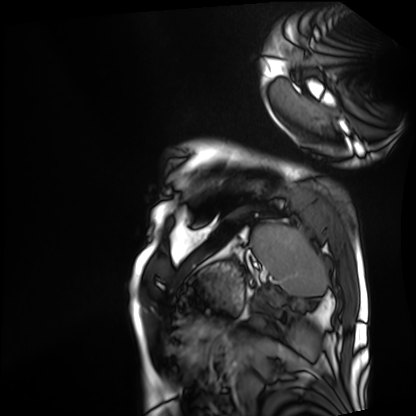
<scan>
<modality>cardiac MRI</modality>
<cohort>patient</cohort>
</scan>